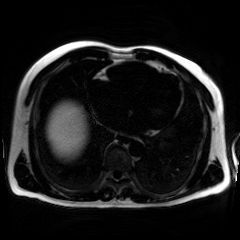
Chemical-shift-encoded cardiac MRI.